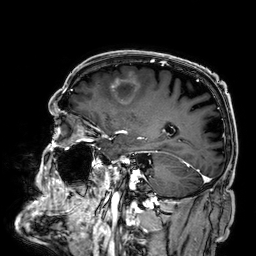
3 Tesla brain MRI. Series: 3D T1-weighted. Study: ring-enhancing brain masses.